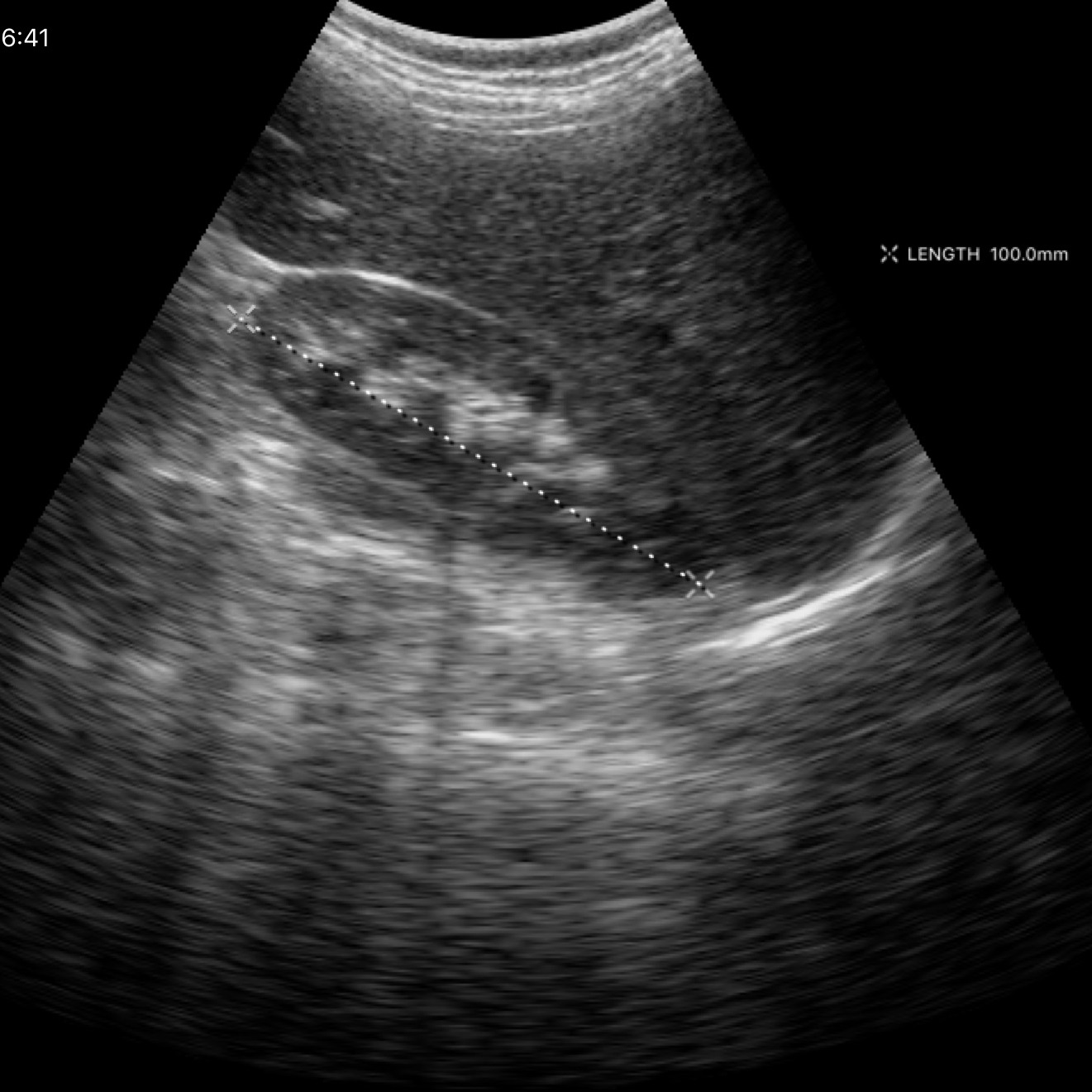
Clinical context: Genitourinary ultrasound.